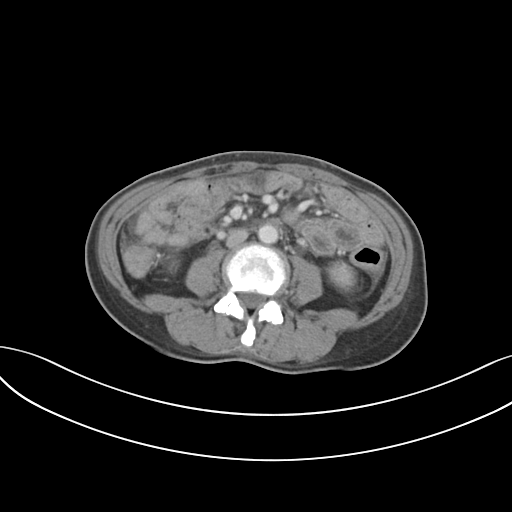
Summary: Multiphase abdominal CT, liver, portal venous phase. Patient: female, age 46. History: prior chemotherapy.